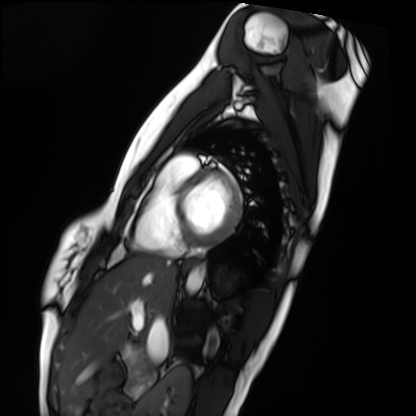
Cardiac MRI.
Subject group: healthy volunteer.